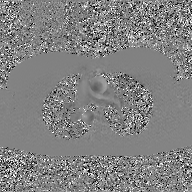
2D phase-contrast cine MRI of the ascending aorta, GAN super-resolution reconstruction.